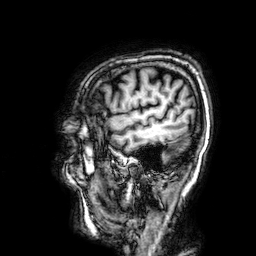
3 Tesla brain MRI. Series: 3D T1-weighted. Study: ring-enhancing brain masses.